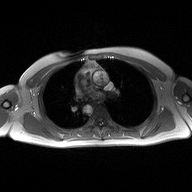
• modality — 2D phase-contrast cine MRI of the ascending aorta